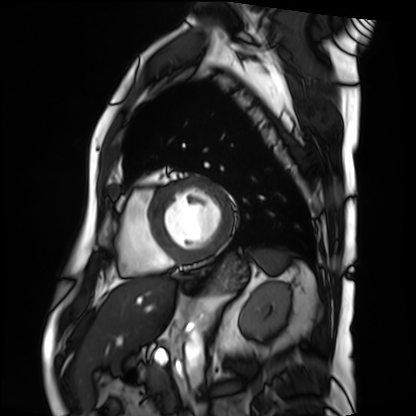
• modality · cardiac MRI
• subject group · patient